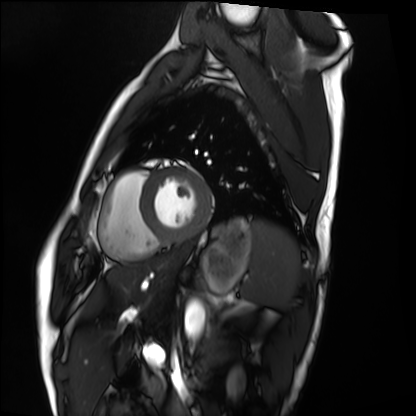
Cardiac MRI. Subject group: healthy volunteer.